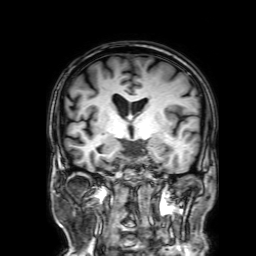
modality — 3 Tesla brain MRI; series — 3D T1-weighted with SENSE; study — ring-enhancing brain masses.